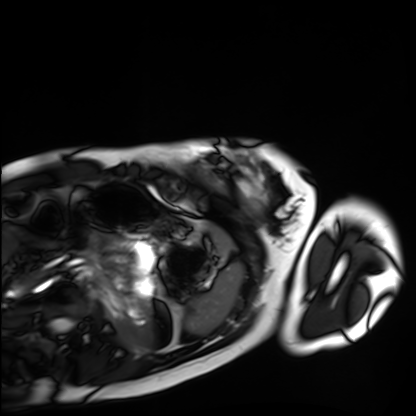
Cardiac MRI. Subject group: healthy volunteer.